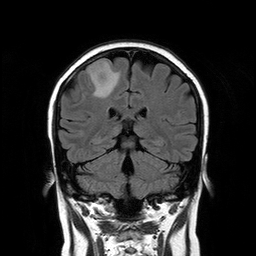
- modality · 3 Tesla brain MRI
- series · T2-weighted FLAIR
- study · ring-enhancing brain masses